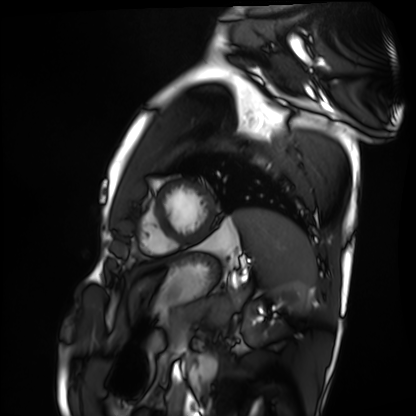
Summary:
Cardiac MRI. Subject group: healthy volunteer.